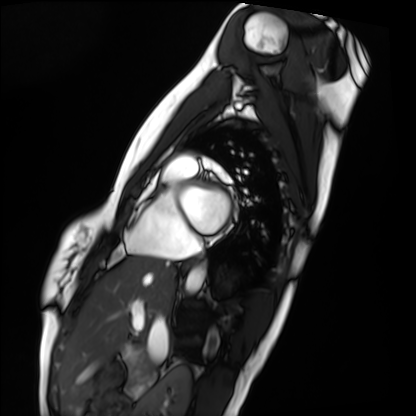
modality: cardiac MRI
cohort: healthy volunteer